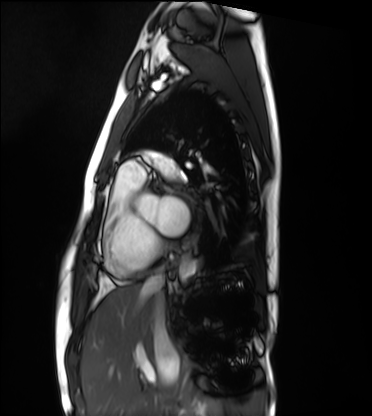
Cardiac MRI. Subject group: healthy volunteer.